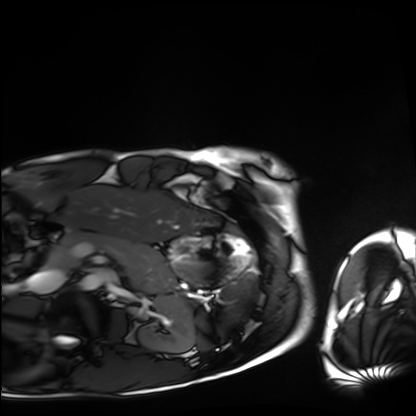
Case:
- modality · cardiac MRI
- subject group · healthy volunteer